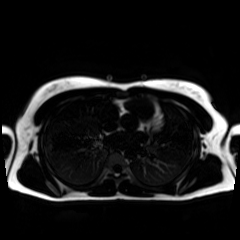
modality = chemical-shift-encoded cardiac MRI